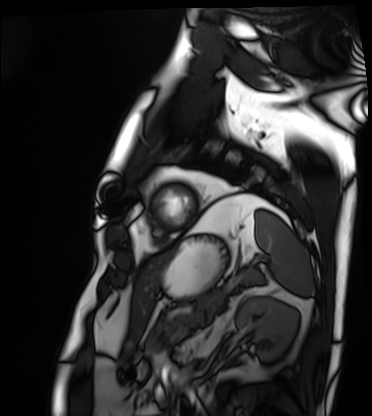
Summary:
Cardiac MRI. Subject group: patient.